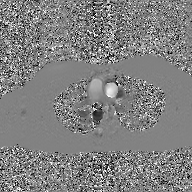
2D phase-contrast cine MRI of the ascending aorta, GAN super-resolution reconstruction.